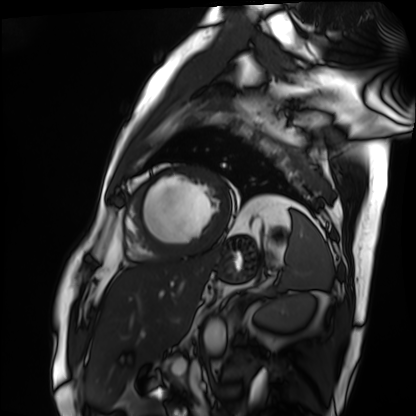
Clinical context:
Cardiac MRI. Subject group: patient.